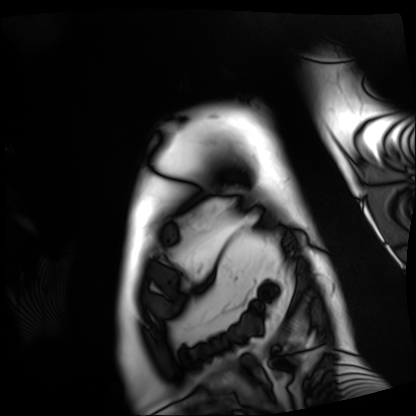
Cardiac MRI. Subject group: patient.